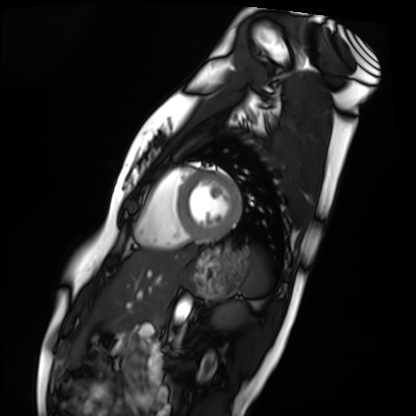
Cardiac MRI. Subject group: healthy volunteer.